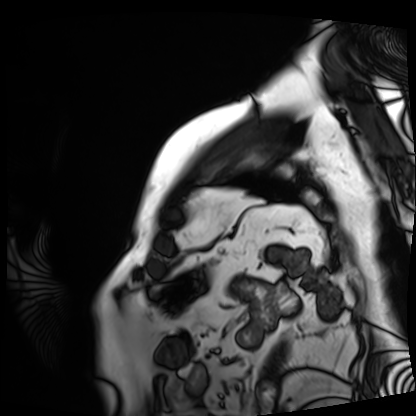
Q: What kind of scan is this?
A: Cardiac MRI.
Subject group: patient.